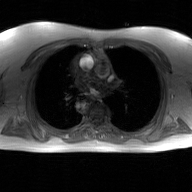
2D phase-contrast cine MRI of the ascending aorta, GAN super-resolution reconstruction.